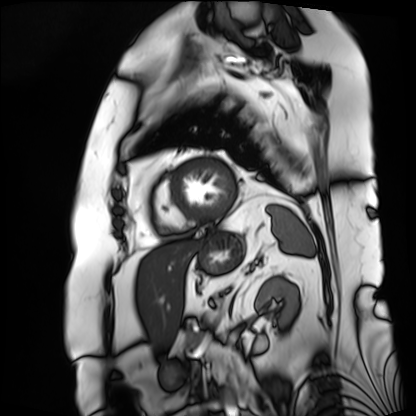
Cardiac MRI.
Subject group: patient.